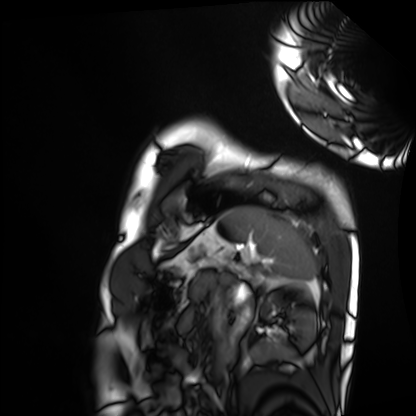
modality: cardiac MRI
cohort: healthy volunteer